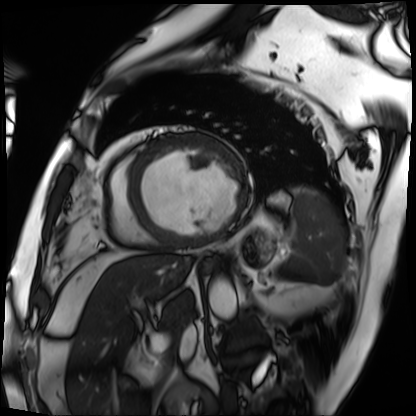
modality: cardiac MRI, subject group: patient.